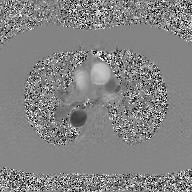
• modality — 2D phase-contrast cine MRI of the ascending aorta, GAN super-resolution reconstruction